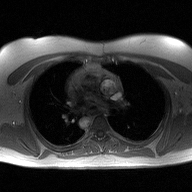
Clinical context:
2D phase-contrast cine MRI of the ascending aorta, high-resolution GRAPPA acquisition.